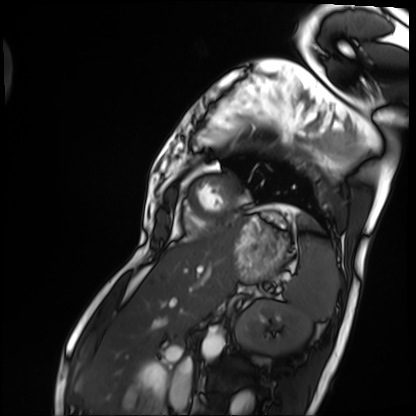
{"modality": "cardiac MRI", "cohort": "patient"}